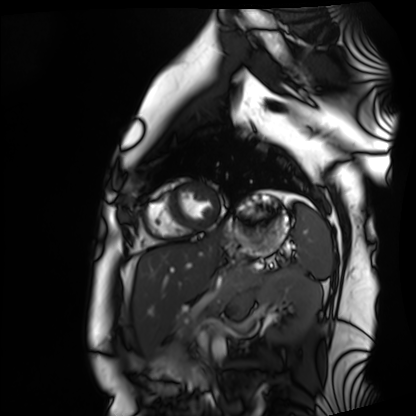
Summary: Cardiac MRI. Subject group: healthy volunteer.